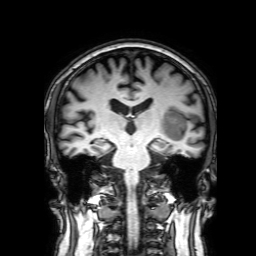
3 Tesla brain MRI. Study: ring-enhancing brain masses.